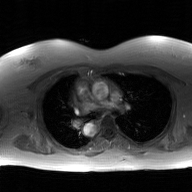
2D phase-contrast cine MRI of the ascending aorta, GAN super-resolution reconstruction.